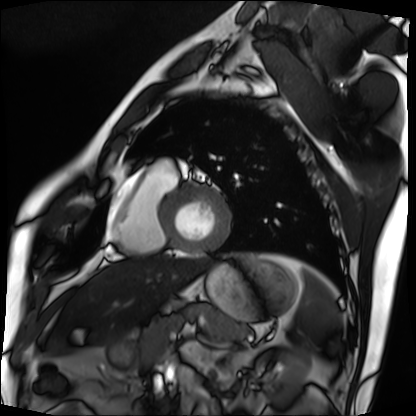
modality: cardiac MRI
cohort: patient